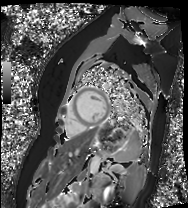
Cardiac MR image of the myocardium. Subject cohort: healthy volunteer.